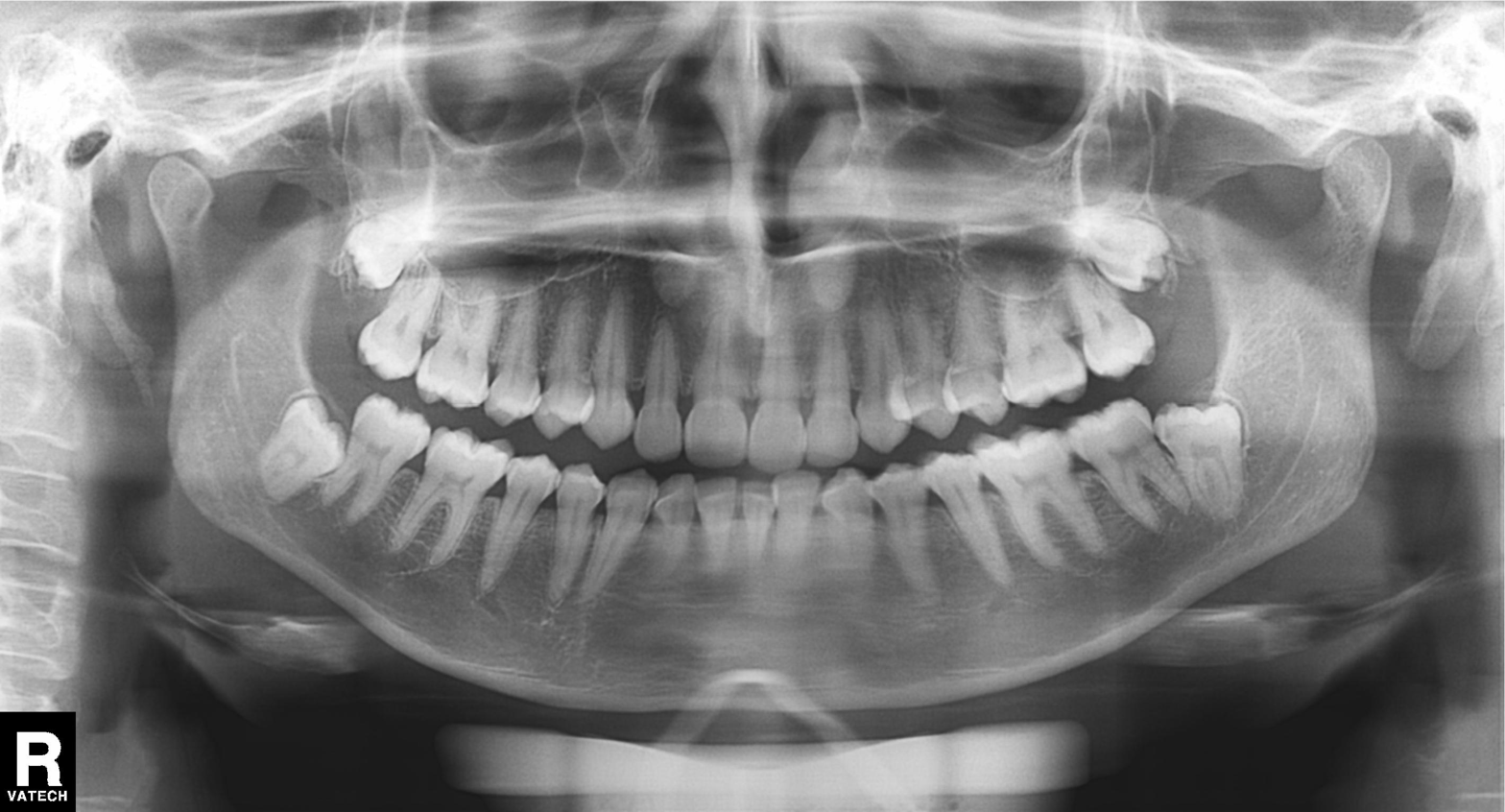
{"modality": "panoramic dental radiograph (orthopantomogram)", "finding": "tooth impaction"}